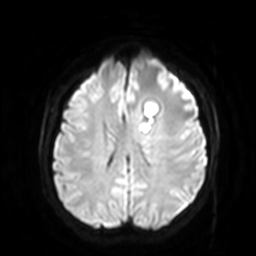
3 Tesla brain MRI.
Study: ring-enhancing brain masses.